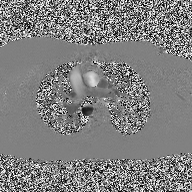
Case:
- modality — 2D phase-contrast cine MRI of the ascending aorta